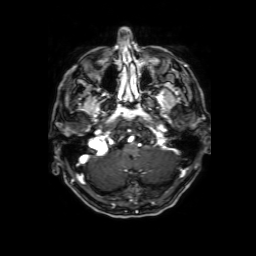
* modality: 3 Tesla brain MRI
* series: 3D T1-weighted with SENSE
* study: ring-enhancing brain masses